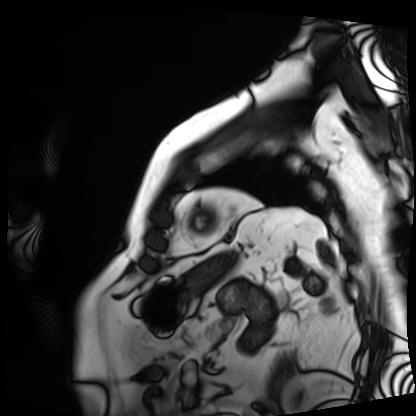
Cardiac MRI. Subject group: patient.